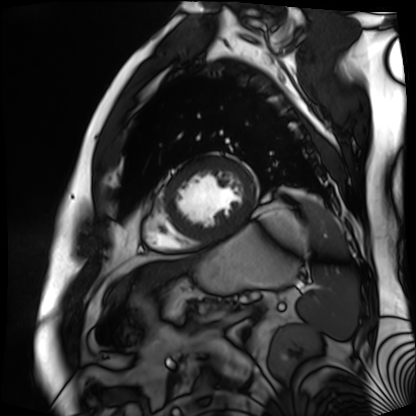
modality: cardiac MR image of the myocardium | subject cohort: cardiac patient.